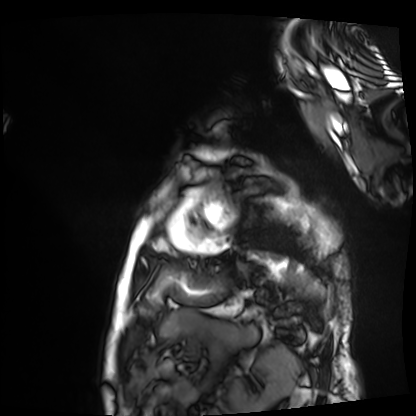
Q: What kind of scan is this?
A: Cardiac MRI.
Subject group: patient.